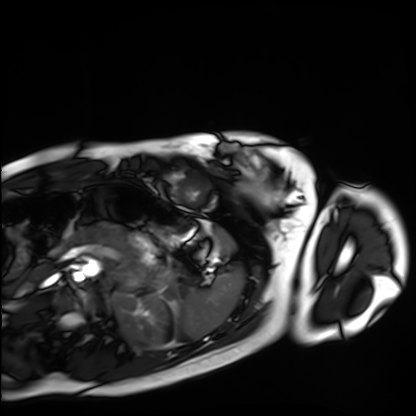
Q: What kind of scan is this?
A: Cardiac MRI.
Subject group: healthy volunteer.